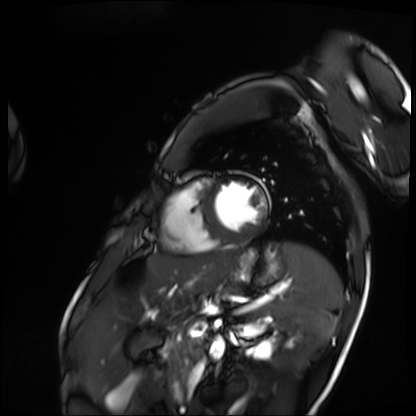
modality = cardiac MRI | subject group = patient.